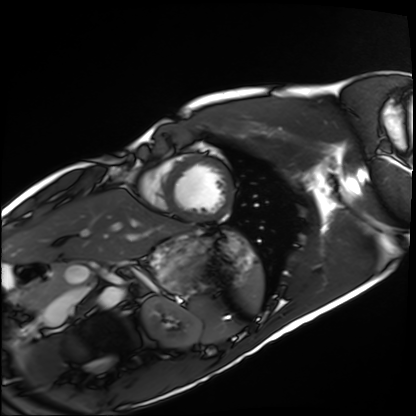
Cardiac MRI. Subject group: healthy volunteer.